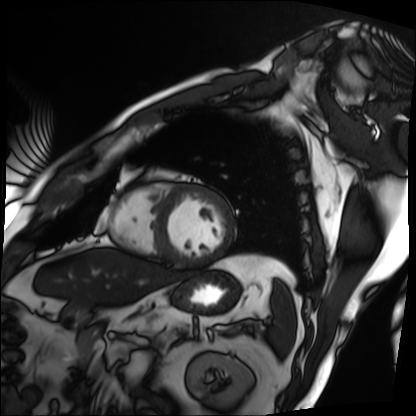
Cardiac MRI. Subject group: patient.